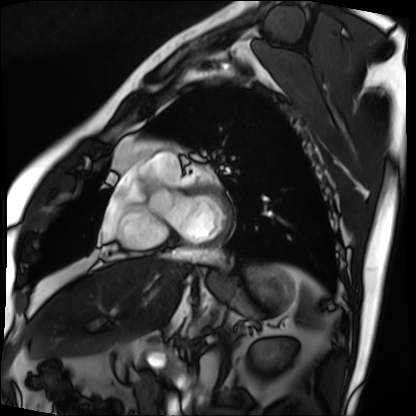
Cardiac MRI.
Subject group: patient.